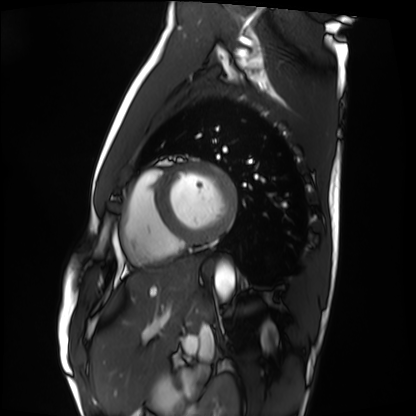
Summary: Cardiac MRI. Subject group: healthy volunteer.